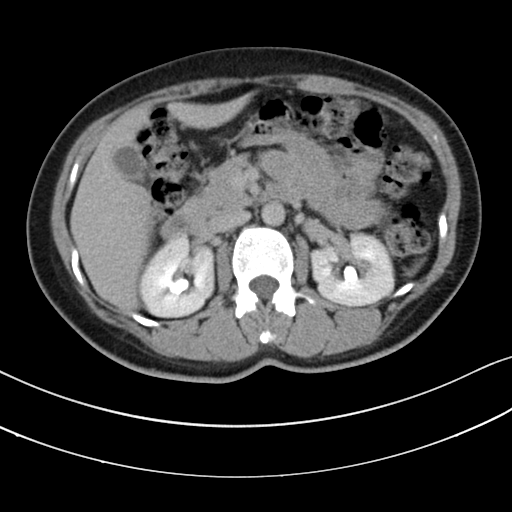
  modality:
    type: multiphase abdominal CT
    region: liver
    phase: delayed
  patient:
    sex: female
    age: 46